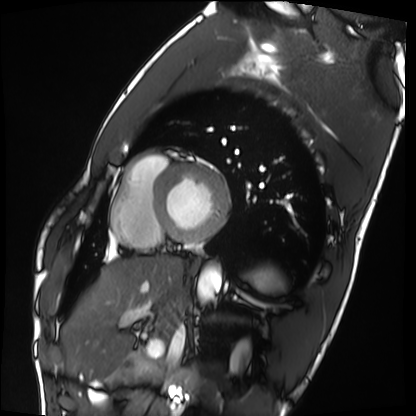
• modality — cardiac MRI
• subject group — healthy volunteer